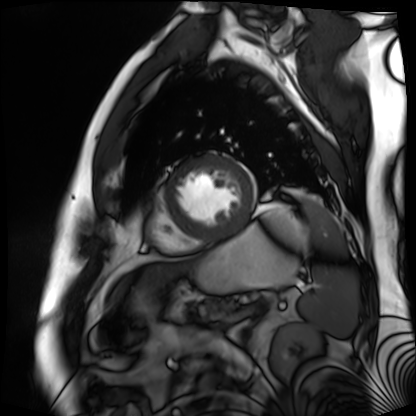
modality: cardiac MR image of the myocardium
subject cohort: cardiac patient